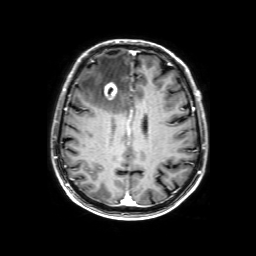
  modality:
    type: brain MRI
    field_strength: 3T
  series: 3D T1-weighted with SENSE
  study_topic: ring-enhancing brain masses